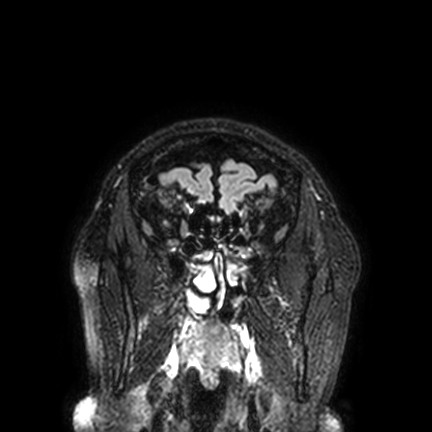
{"modality": {"type": "brain MRI", "field_strength": "3T"}, "series": "FLAIR VISTA with SENSE", "study_topic": "ring-enhancing brain masses"}